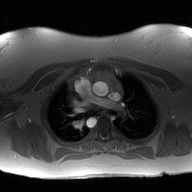
Summary: 2D phase-contrast cine MRI of the ascending aorta, high-resolution GRAPPA acquisition.